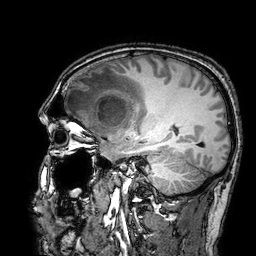
Q: What kind of scan is this?
A: 3 Tesla brain MRI.
Study: ring-enhancing brain masses.